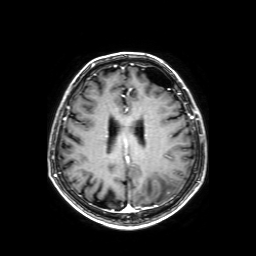
Q: What kind of scan is this?
A: 3 Tesla brain MRI.
Q: Series?
A: Axial T1-weighted fusion image.
Study: ring-enhancing brain masses.